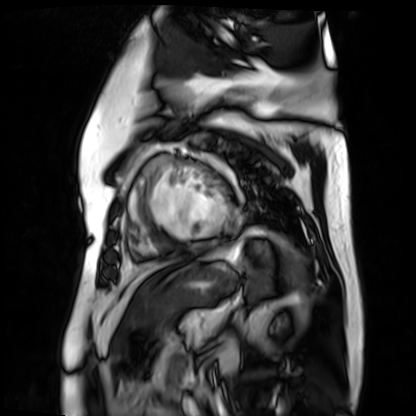
Clinical context:
Cardiac MR image of the myocardium. Subject cohort: cardiac patient.